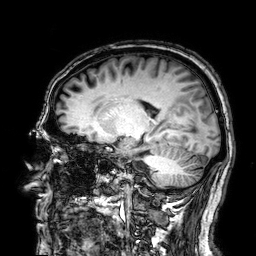
3 Tesla brain MRI.
Series: 3D T1-weighted.
Study: ring-enhancing brain masses.